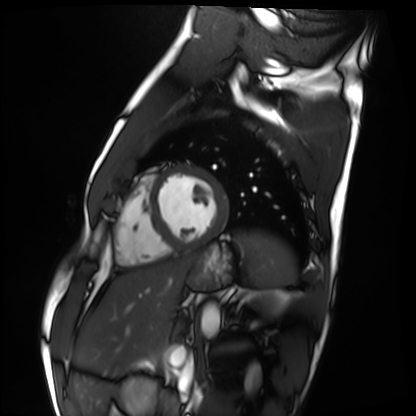
{"modality": "cardiac MRI", "cohort": "healthy volunteer"}